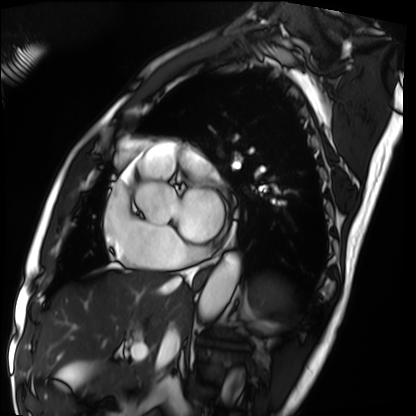
Clinical context:
Cardiac MRI. Subject group: patient.